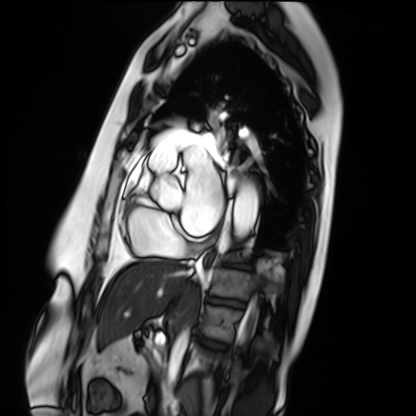
Clinical context: Cardiac MRI. Subject group: patient.